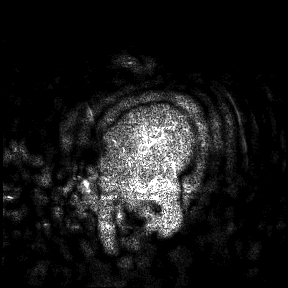
  modality:
    type: brain MRI
    field_strength: 3T
  study_topic: ring-enhancing brain masses